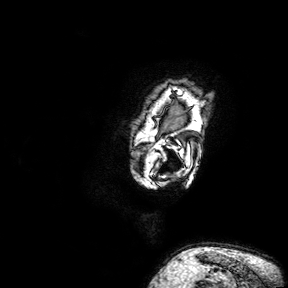
modality — 3 Tesla brain MRI | series — 3D T1-weighted turbo field echo with SENSE | study — ring-enhancing brain masses.